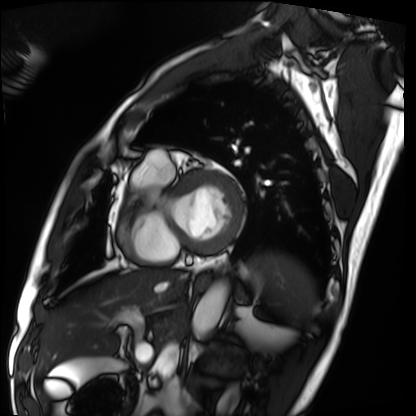
Cardiac MRI. Subject group: patient.